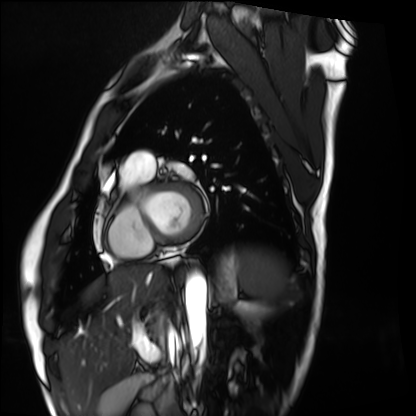
modality = cardiac MRI, subject group = healthy volunteer.